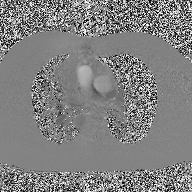
* modality: 2D phase-contrast cine MRI of the ascending aorta